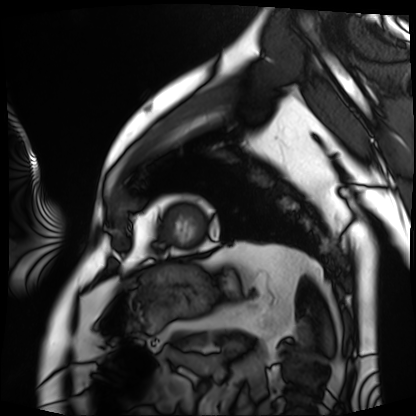
Clinical context:
Cardiac MRI. Subject group: patient.